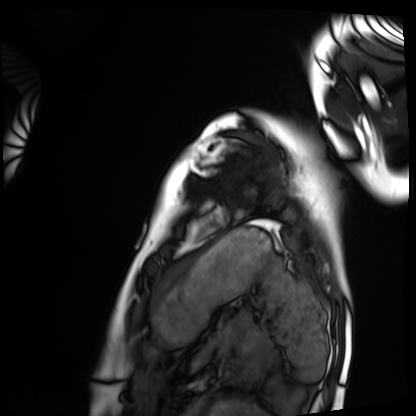
* modality · cardiac MRI
* subject group · healthy volunteer